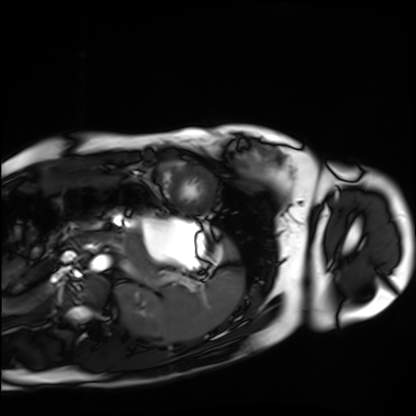
Cardiac MRI. Subject group: healthy volunteer.